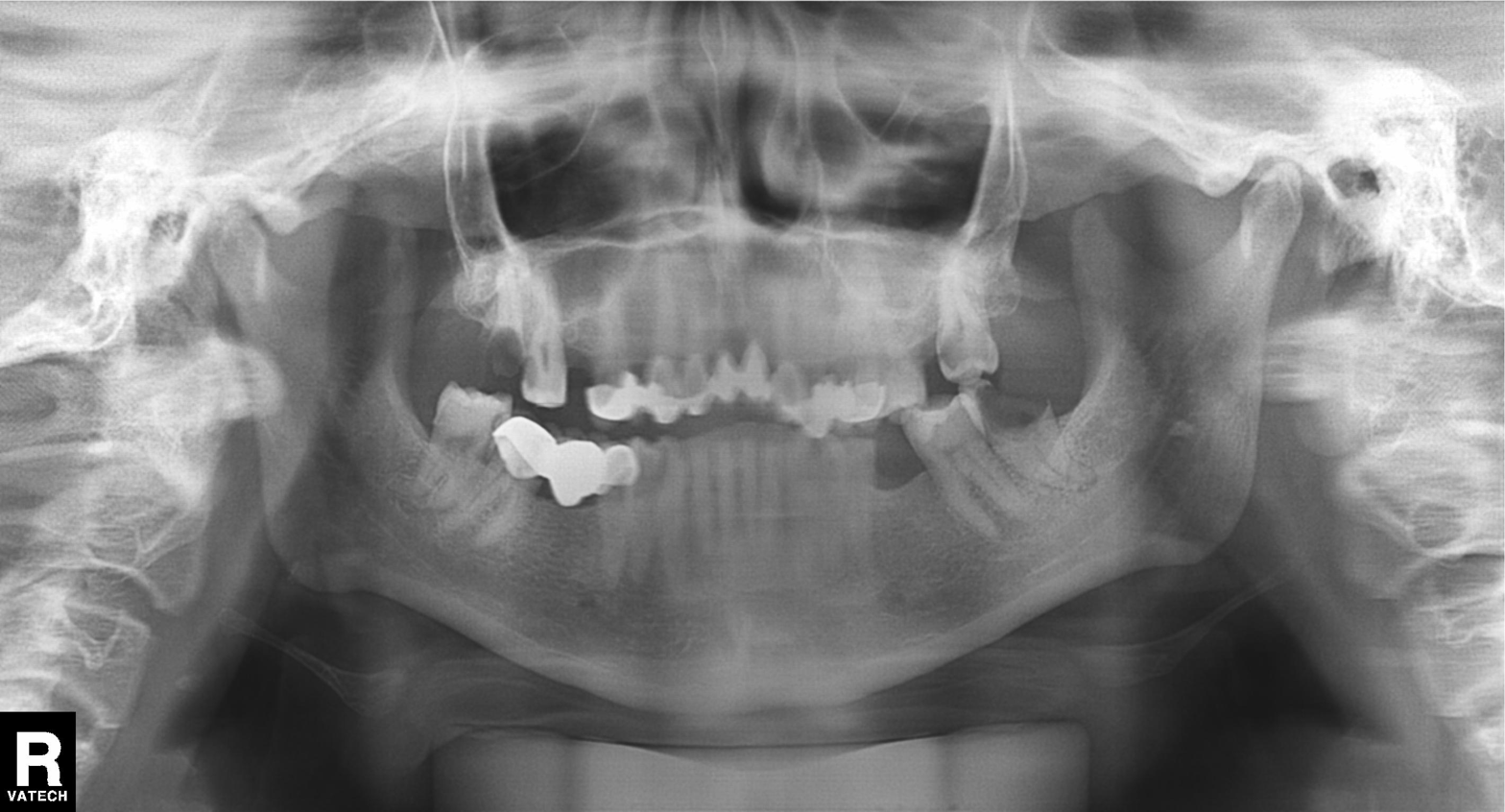
Panoramic dental radiograph (orthopantomogram).
Finding: tooth impaction.